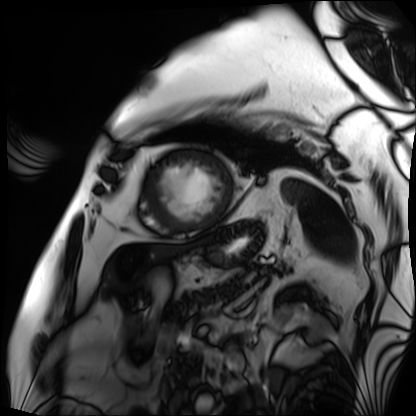
Clinical context: Cardiac MRI. Subject group: patient.